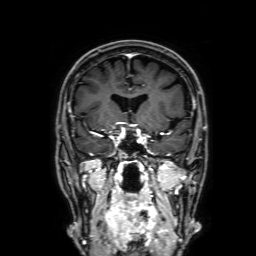
- modality — 3 Tesla brain MRI
- series — 3D T1-weighted with SENSE
- study — ring-enhancing brain masses